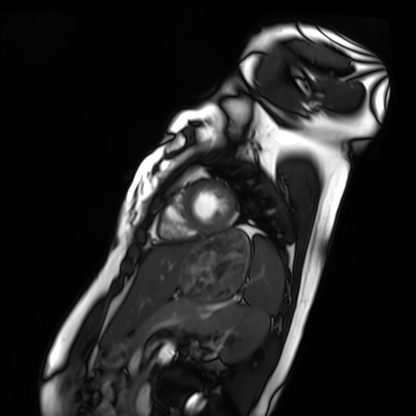
Cardiac MRI.
Subject group: healthy volunteer.